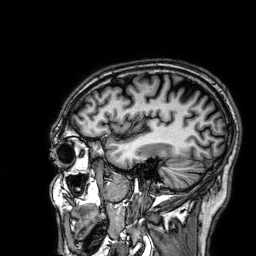
3 Tesla brain MRI. Series: 3D T1-weighted. Study: ring-enhancing brain masses.